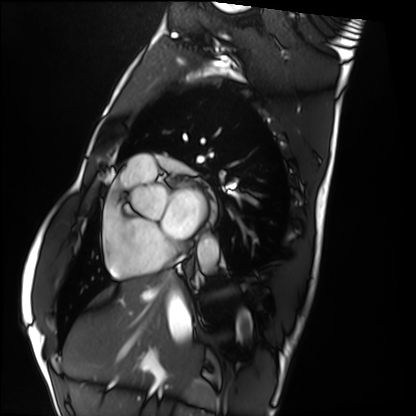
– modality · cardiac MRI
– subject group · healthy volunteer